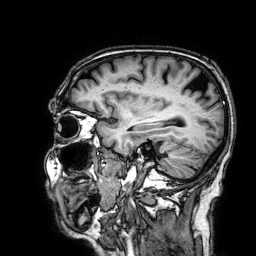
Case summary:
3 Tesla brain MRI. Series: 3D T1-weighted. Study: ring-enhancing brain masses.